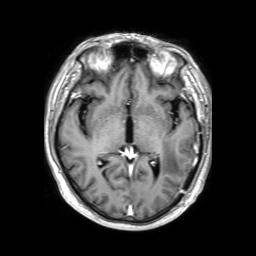
modality:
  type: brain MRI
  field_strength: 3T
series: 3D T1-weighted TFE with SENSE
study_topic: ring-enhancing brain masses